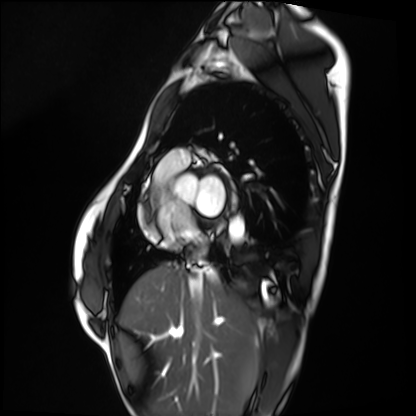
modality: cardiac MRI | subject group: healthy volunteer.